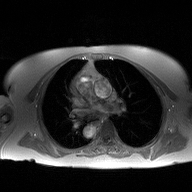
2D phase-contrast cine MRI of the ascending aorta, high-resolution GRAPPA acquisition.